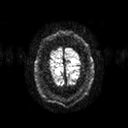
Clinical context: 3 Tesla brain MRI. Series: diffusion tensor imaging (medium iso). Study: ring-enhancing brain masses.